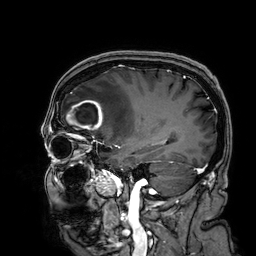
  modality:
    type: brain MRI
    field_strength: 3T
  series: 3D T1-weighted
  study_topic: ring-enhancing brain masses